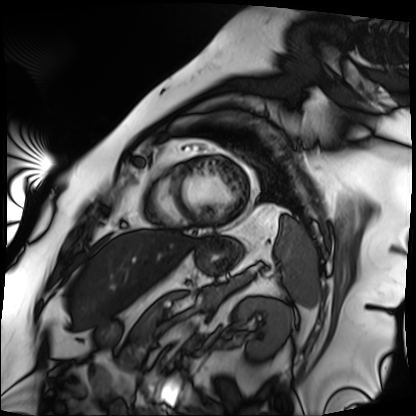
Summary: Cardiac MRI. Subject group: patient.